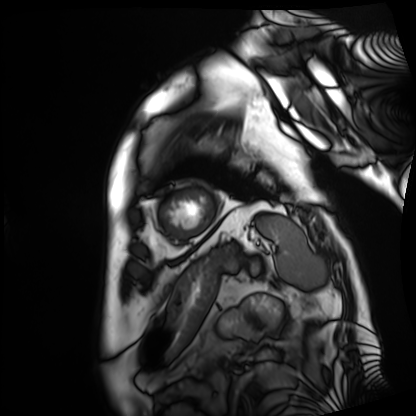
  modality: cardiac MRI
  cohort: patient